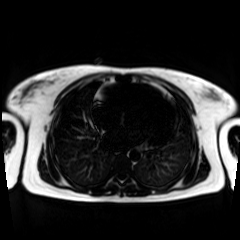
Chemical-shift-encoded cardiac MRI.